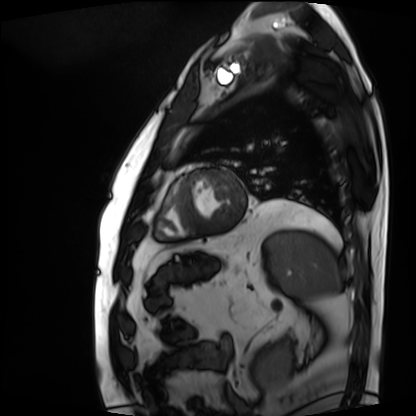
Cardiac MRI.
Subject group: patient.